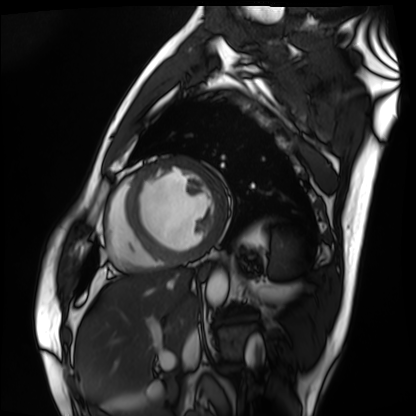
Cardiac MRI.
Subject group: patient.